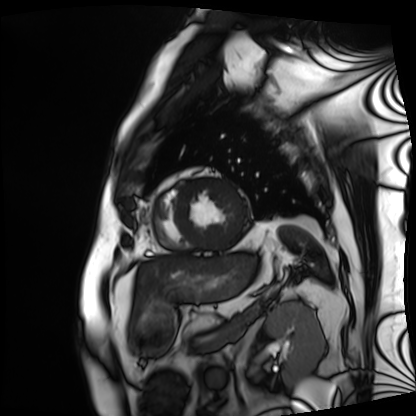
modality: cardiac MRI | subject group: patient.